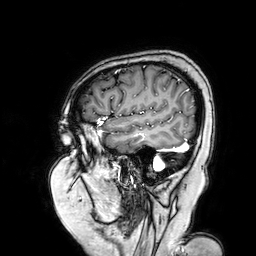
3 Tesla brain MRI.
Series: 3D T1-weighted turbo field echo with SENSE.
Study: ring-enhancing brain masses.